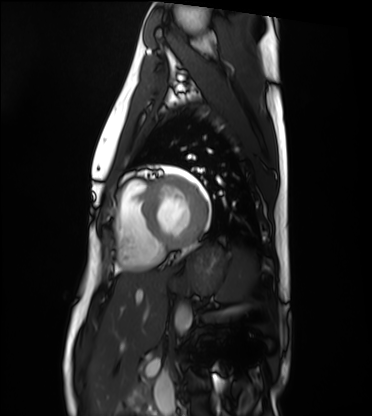
  modality: cardiac MRI
  cohort: healthy volunteer